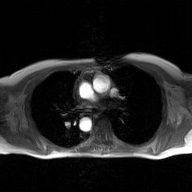
Summary: 2D phase-contrast cine MRI of the ascending aorta, GAN super-resolution reconstruction.